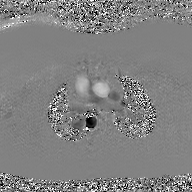
modality: 2D phase-contrast cine MRI of the ascending aorta, GAN super-resolution reconstruction.